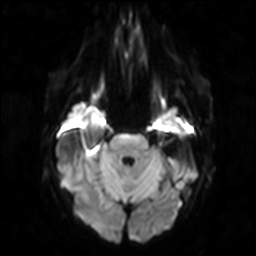
| field | value |
|---|---|
| modality | 3 Tesla brain MRI |
| study | ring-enhancing brain masses |